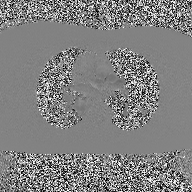
- modality · 2D phase-contrast cine MRI of the ascending aorta